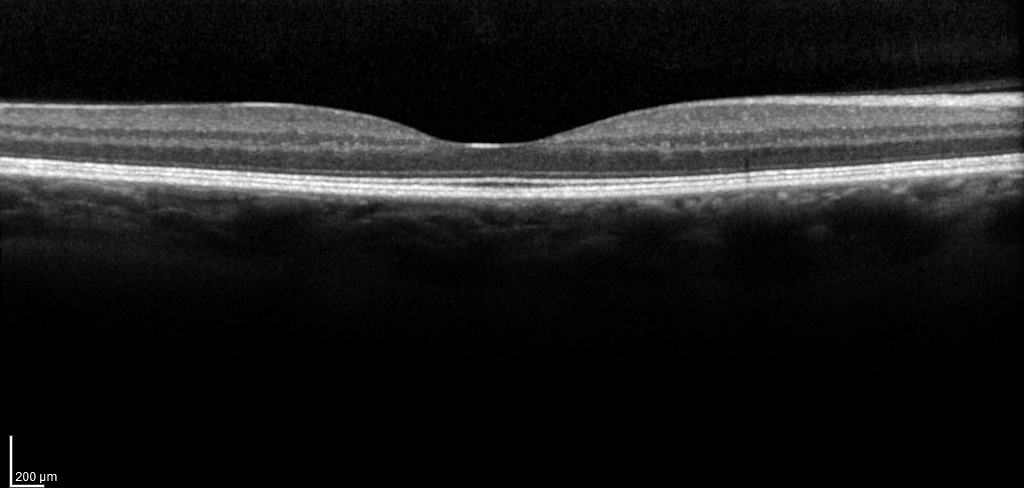
Case:
• modality — spectral-domain optical coherence tomography (SD-OCT) of the macula
• subject — female, age 49, right eye
• cohort — non-diabetic control